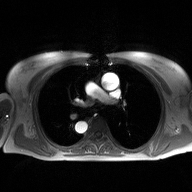
| field | value |
|---|---|
| modality | 2D phase-contrast cine MRI of the ascending aorta |